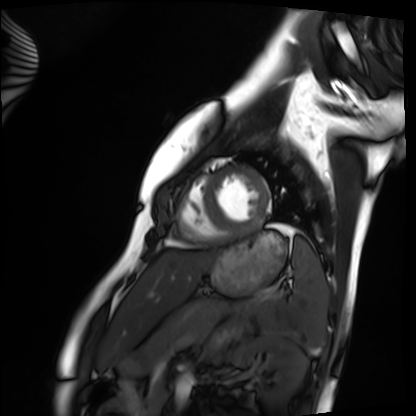
Cardiac MRI.
Subject group: healthy volunteer.